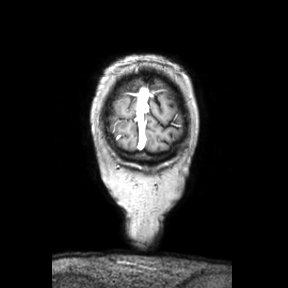
Clinical context: 3 Tesla brain MRI. Series: coronal. Study: ring-enhancing brain masses.